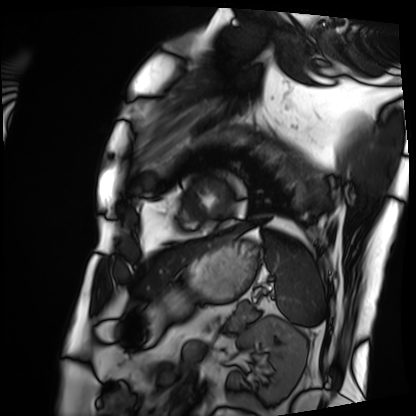
Case summary:
Cardiac MRI. Subject group: patient.